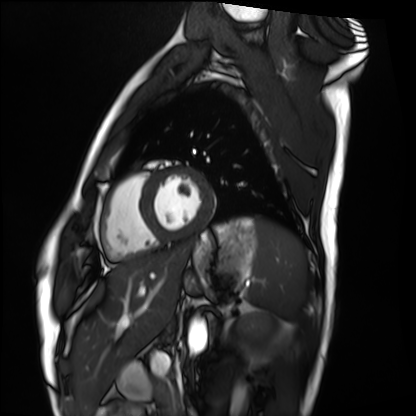
Cardiac MRI. Subject group: healthy volunteer.